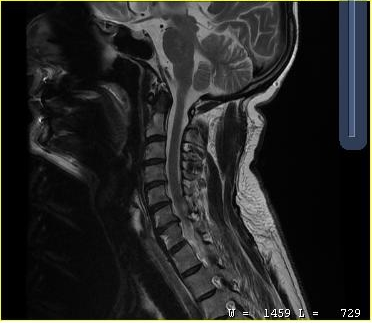
Q: What kind of scan is this?
A: MRI of the cervical spine.
Study: cervical spondylosis.